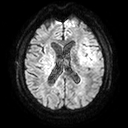
modality: 3 Tesla brain MRI; series: diffusion tensor imaging (medium iso); study: ring-enhancing brain masses.